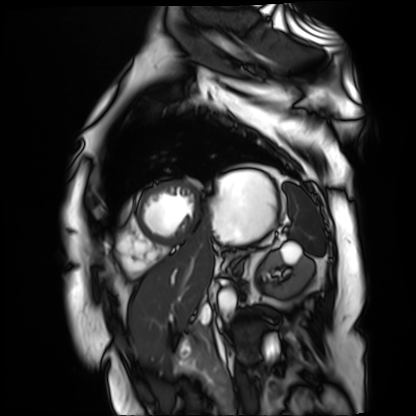
- modality: cardiac MR image of the myocardium
- subject cohort: cardiac patient